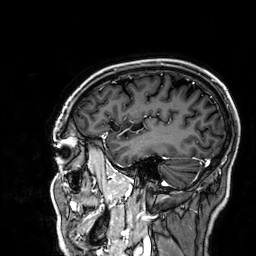
Case summary: 3 Tesla brain MRI. Series: 3D T1-weighted. Study: ring-enhancing brain masses.